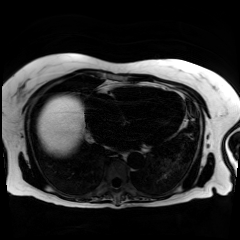
Clinical context: Chemical-shift-encoded cardiac MRI.